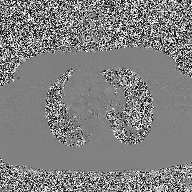
2D phase-contrast cine MRI of the ascending aorta, high-resolution GRAPPA acquisition.